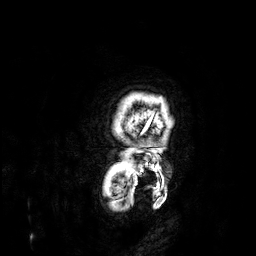
Q: What kind of scan is this?
A: 3 Tesla brain MRI.
Q: Series?
A: 3D T1-weighted.
Study: ring-enhancing brain masses.